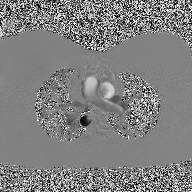
- modality · 2D phase-contrast cine MRI of the ascending aorta